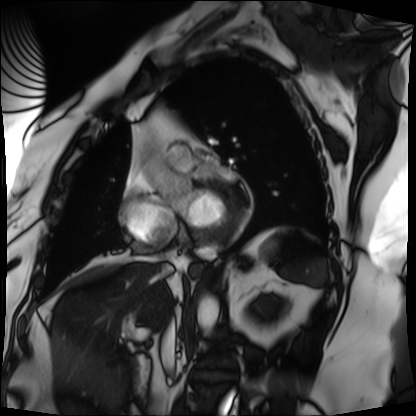
Clinical context:
Cardiac MRI. Subject group: patient.